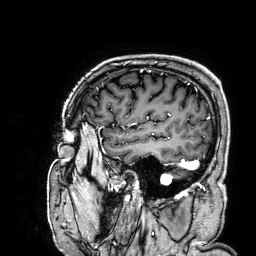
– modality — 3 Tesla brain MRI
– study — ring-enhancing brain masses